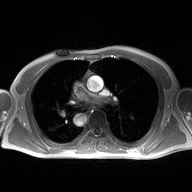
• modality: 2D phase-contrast cine MRI of the ascending aorta